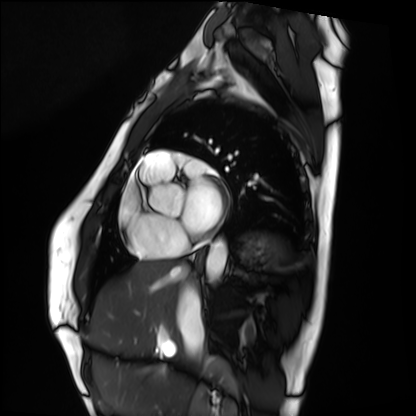
Clinical context: Cardiac MRI. Subject group: healthy volunteer.